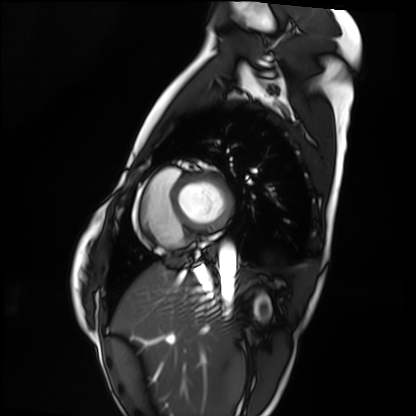
Cardiac MRI.
Subject group: healthy volunteer.